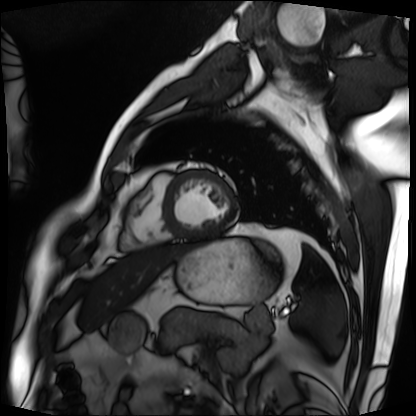
Cardiac MRI.
Subject group: patient.